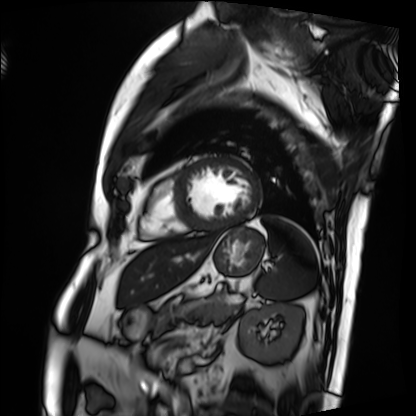
Cardiac MRI. Subject group: patient.